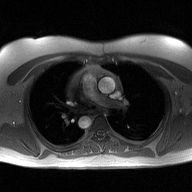
Q: What kind of scan is this?
A: 2D phase-contrast cine MRI of the ascending aorta.